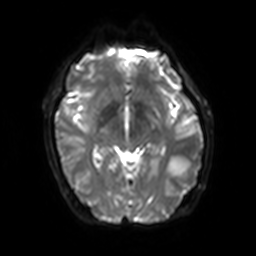
Clinical context: 3 Tesla brain MRI. Series: diffusion-weighted imaging with SENSE (WIP). Study: ring-enhancing brain masses.